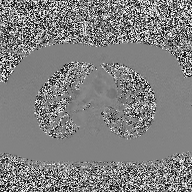
Clinical context: 2D phase-contrast cine MRI of the ascending aorta, high-resolution GRAPPA acquisition.